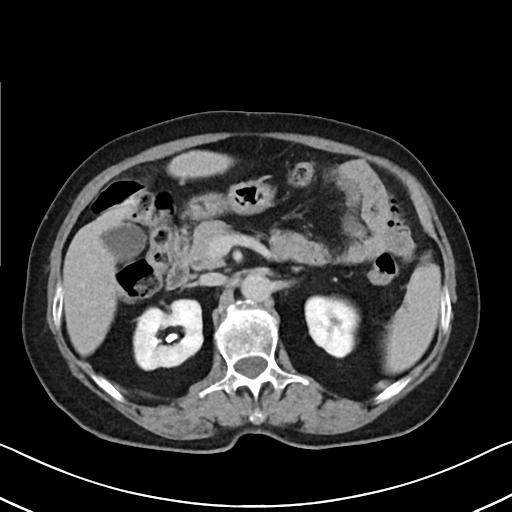
Summary: Multiphase abdominal CT, liver, delayed phase. Patient: female, age 71.